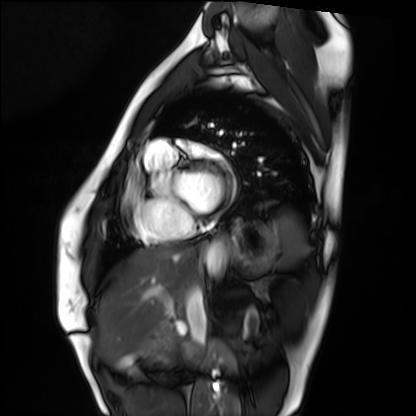
<case>
  <modality>cardiac MRI</modality>
  <cohort>healthy volunteer</cohort>
</case>